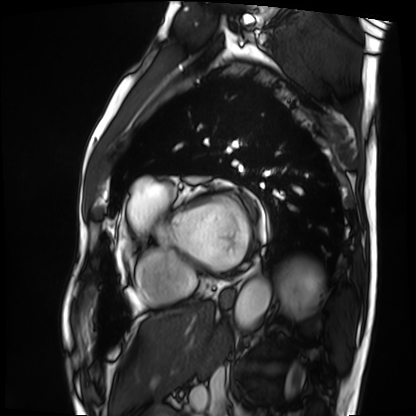
Cardiac MRI.
Subject group: patient.